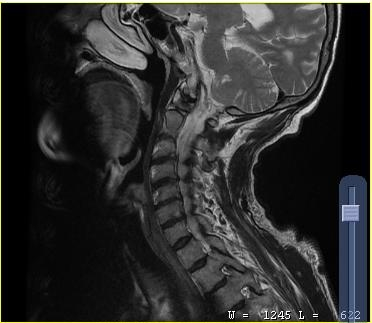
– modality · MRI of the cervical spine
– study · cervical spondylosis